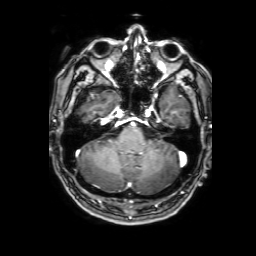
Q: What kind of scan is this?
A: 3 Tesla brain MRI.
Q: Series?
A: 3D T1-weighted with SENSE.
Study: ring-enhancing brain masses.